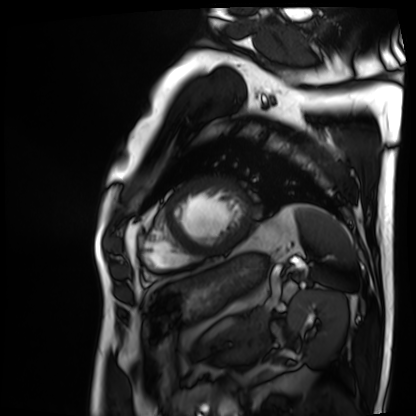
modality: cardiac MRI
cohort: patient